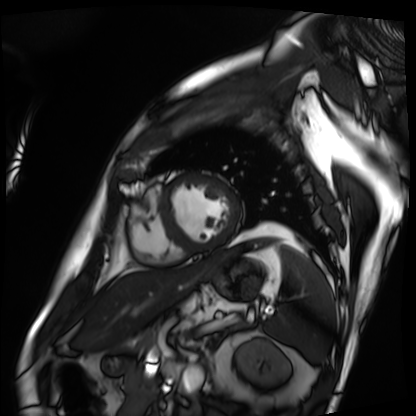
Cardiac MRI. Subject group: patient.